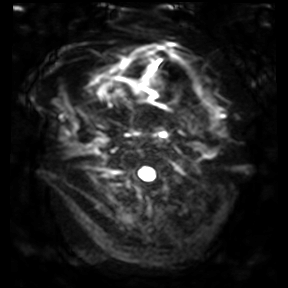
<record>
  <modality>
    <type>brain MRI</type>
    <field_strength>3T</field_strength>
  </modality>
  <study_topic>ring-enhancing brain masses</study_topic>
</record>